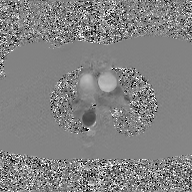
2D phase-contrast cine MRI of the ascending aorta, GAN super-resolution reconstruction.